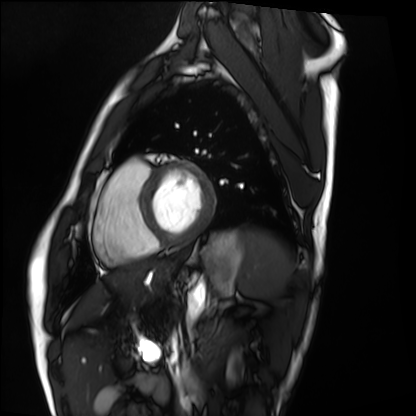
Summary:
Cardiac MRI. Subject group: healthy volunteer.